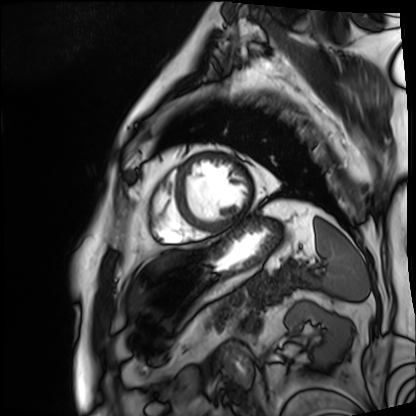
modality = cardiac MRI; subject group = patient.